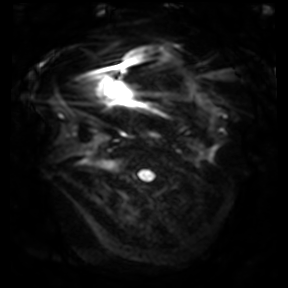
3 Tesla brain MRI.
Series: diffusion-weighted imaging.
Study: ring-enhancing brain masses.